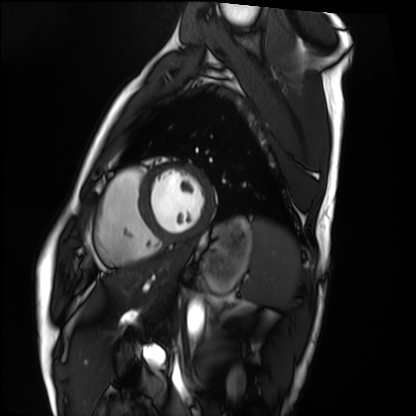
Cardiac MRI.
Subject group: healthy volunteer.